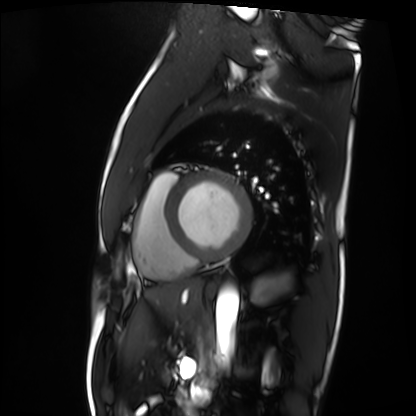
Cardiac MRI.
Subject group: patient.